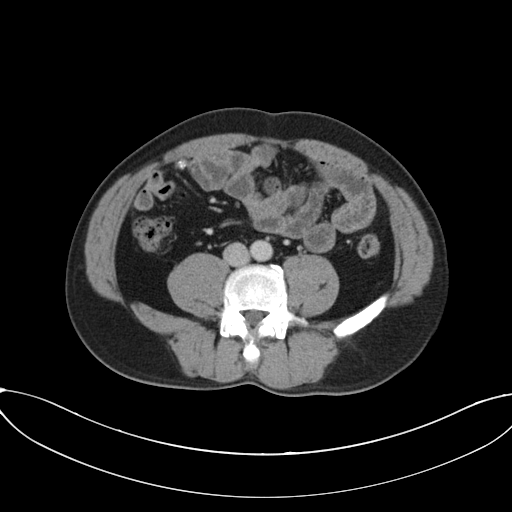
– modality — multiphase abdominal CT, liver, portal venous phase
– patient — male, age 50
– history — prior chemotherapy